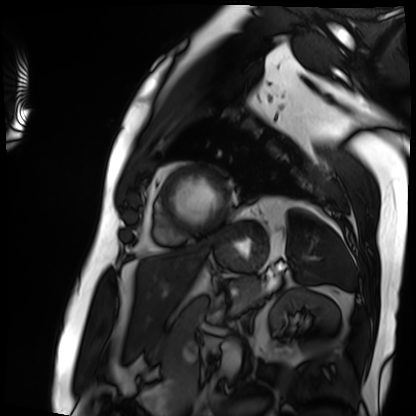
Cardiac MRI. Subject group: patient.